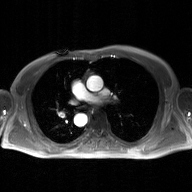
Case summary: 2D phase-contrast cine MRI of the ascending aorta, GAN super-resolution reconstruction.